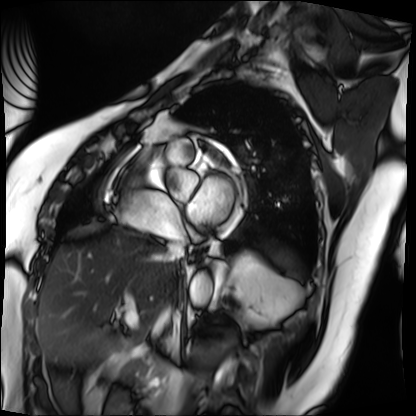
Q: What kind of scan is this?
A: Cardiac MRI.
Subject group: patient.